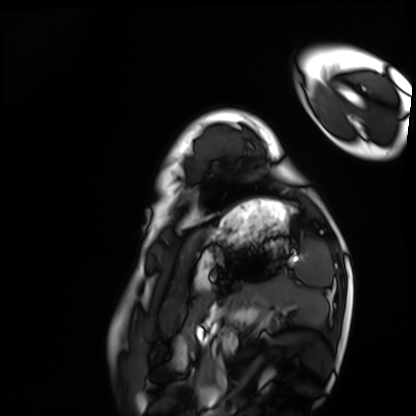
modality = cardiac MRI | subject group = healthy volunteer.